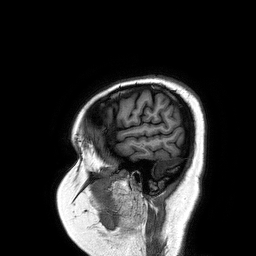
<study>
<modality>
  <type>brain MRI</type>
  <field_strength>3T</field_strength>
</modality>
<series>3D T1-weighted turbo field echo</series>
<study_topic>ring-enhancing brain masses</study_topic>
</study>